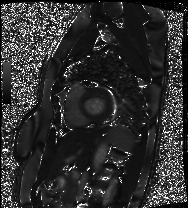
modality — cardiac MRI; subject group — patient.